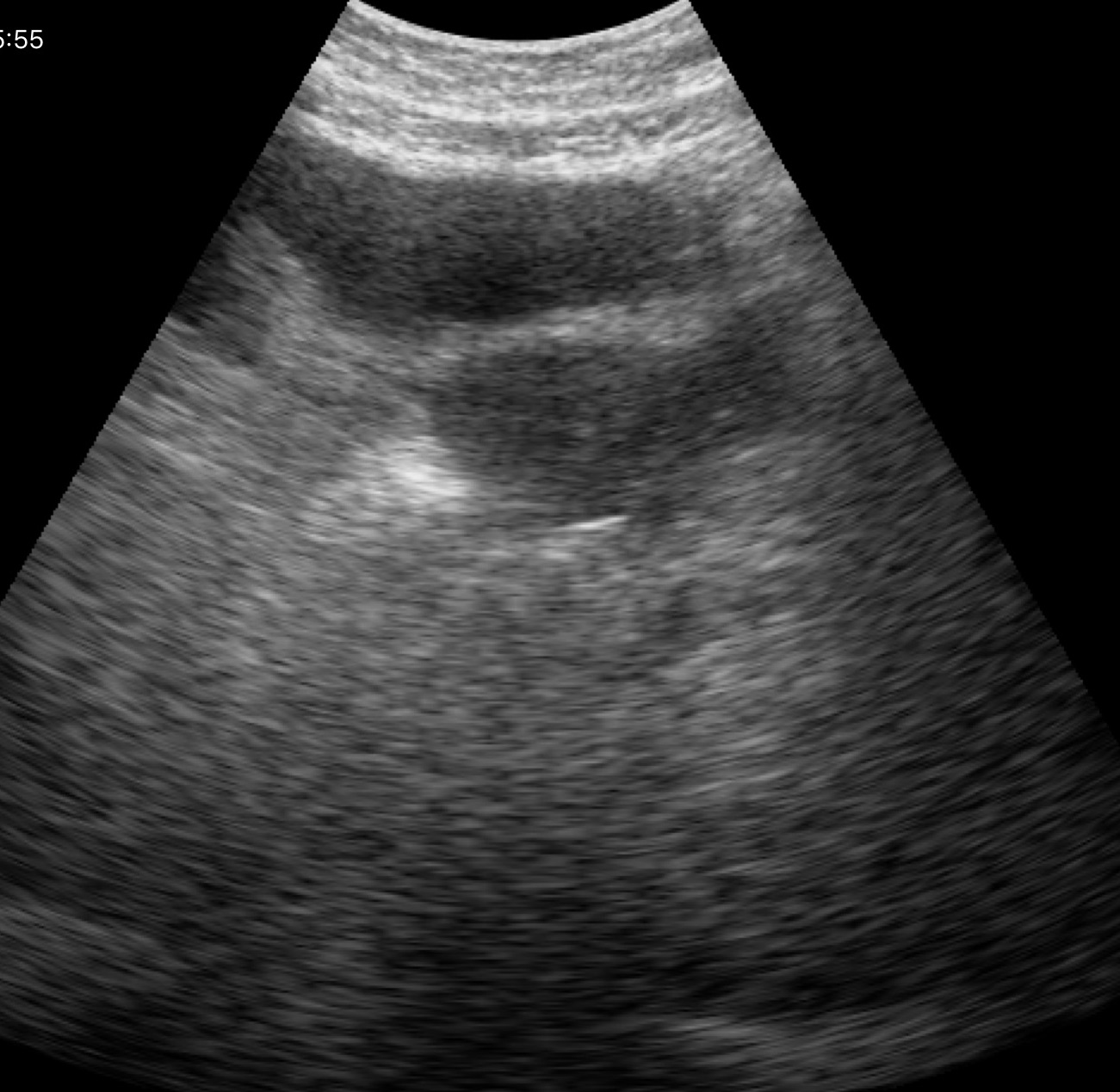
Summary: Genitourinary ultrasound.